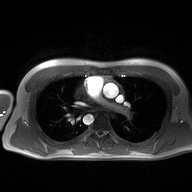
2D phase-contrast cine MRI of the ascending aorta, high-resolution GRAPPA acquisition.